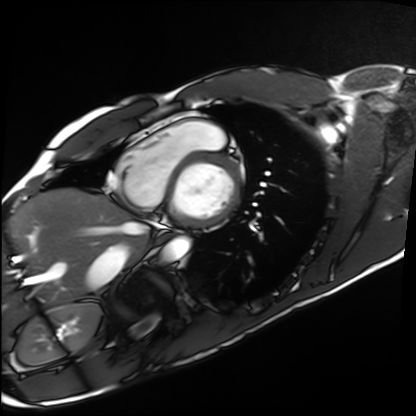
- modality · cardiac MRI
- subject group · healthy volunteer